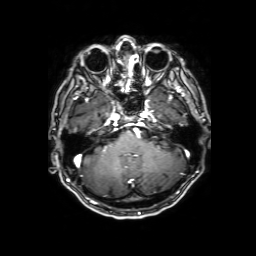
  modality:
    type: brain MRI
    field_strength: 3T
  series: 3D T1-weighted with SENSE
  study_topic: ring-enhancing brain masses